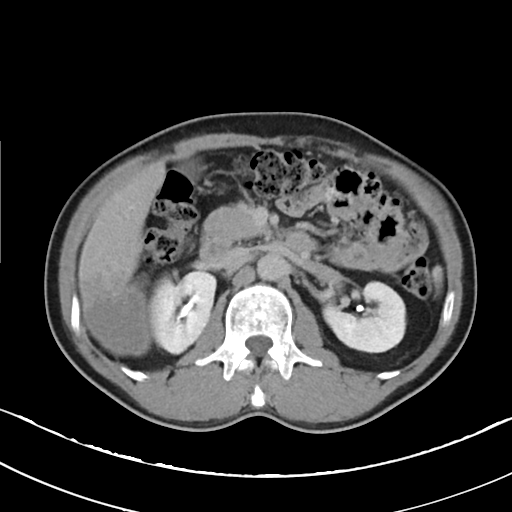
modality = multiphase abdominal CT, liver, delayed phase | patient = male, age 49 | history = viral hepatitis.